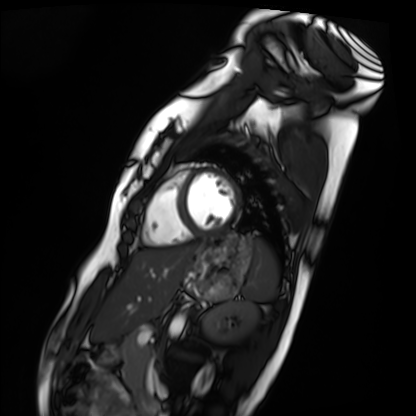
Case:
- modality — cardiac MRI
- subject group — healthy volunteer